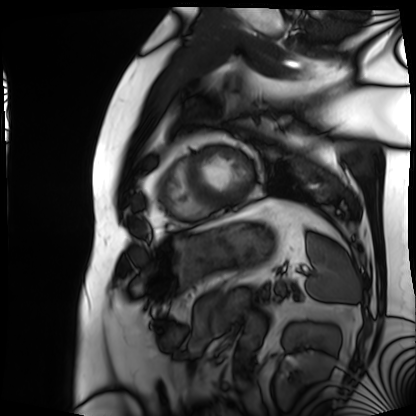
Cardiac MRI. Subject group: patient.